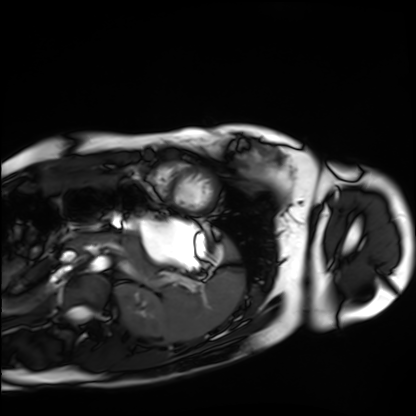
Cardiac MRI. Subject group: healthy volunteer.